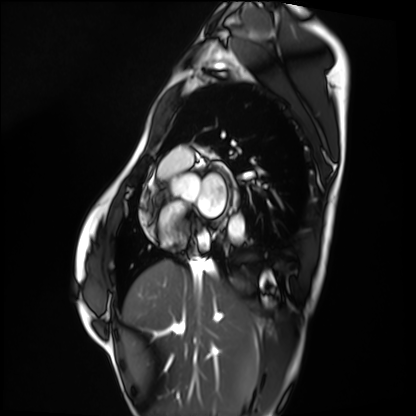
Summary:
Cardiac MRI. Subject group: healthy volunteer.